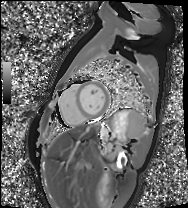
modality = cardiac MRI; subject group = healthy volunteer.